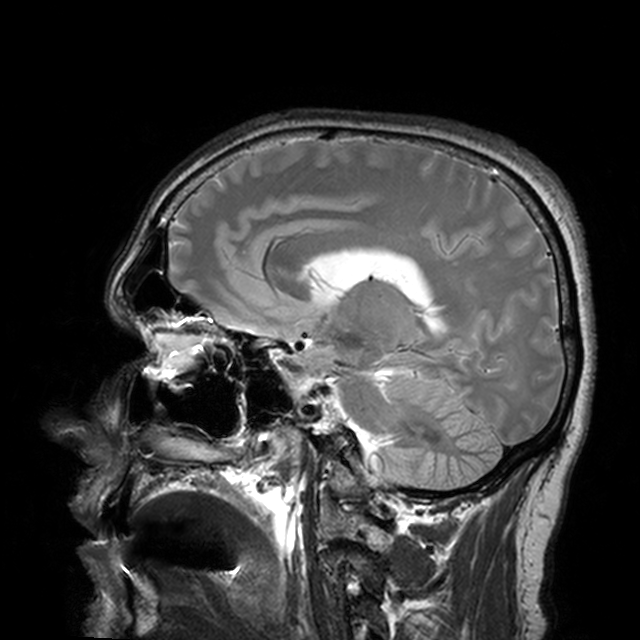
modality: 3 Tesla brain MRI | series: T2-weighted turbo spin echo with CLEAR | study: ring-enhancing brain masses.